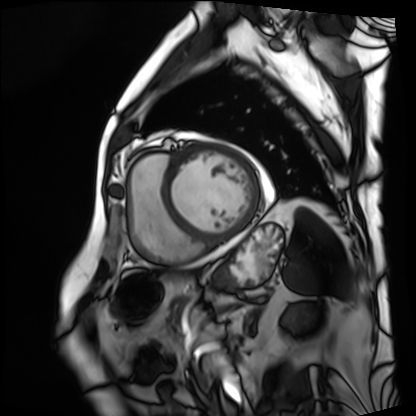
Case summary:
Cardiac MRI. Subject group: patient.